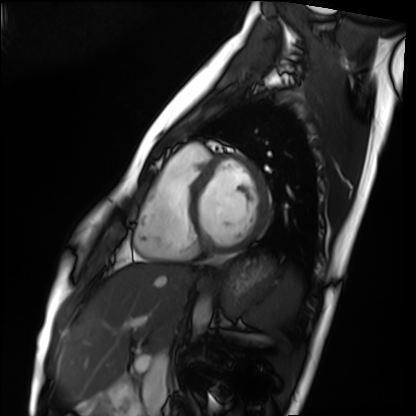
Q: What kind of scan is this?
A: Cardiac MRI.
Subject group: healthy volunteer.